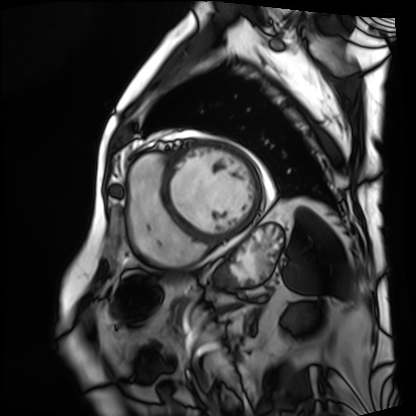
Clinical context: Cardiac MRI. Subject group: patient.